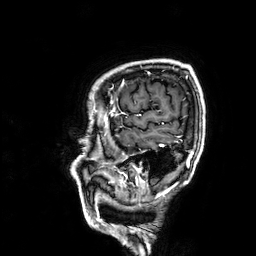
modality=3 Tesla brain MRI
series=3D T1-weighted
study=ring-enhancing brain masses